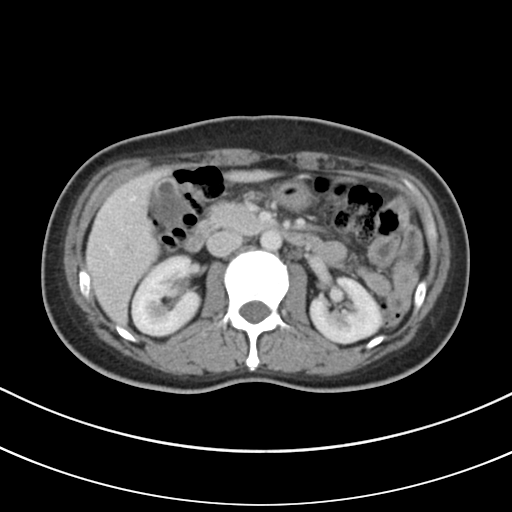
Clinical context:
Multiphase abdominal CT, liver, portal venous phase. Patient: female, age 48.